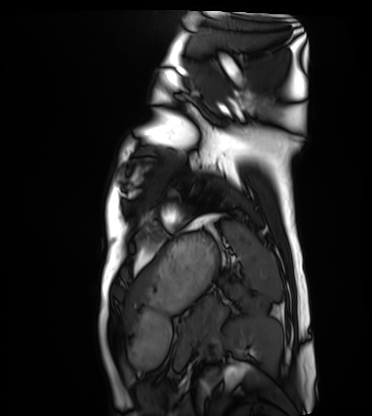
Clinical context:
Cardiac MRI. Subject group: healthy volunteer.